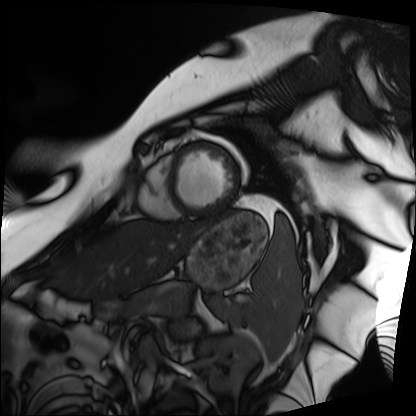
Clinical context:
Cardiac MRI. Subject group: patient.